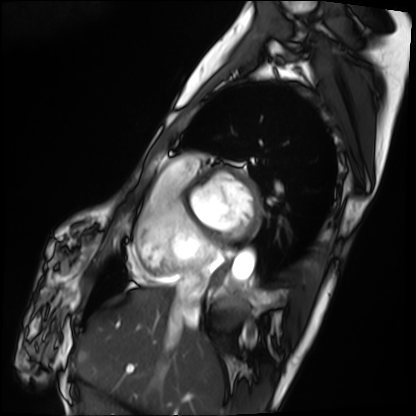
Summary: Cardiac MRI. Subject group: patient.